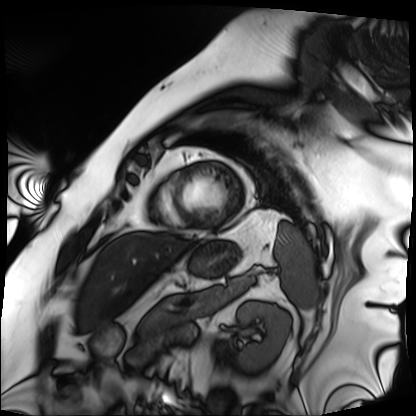
Cardiac MRI. Subject group: patient.